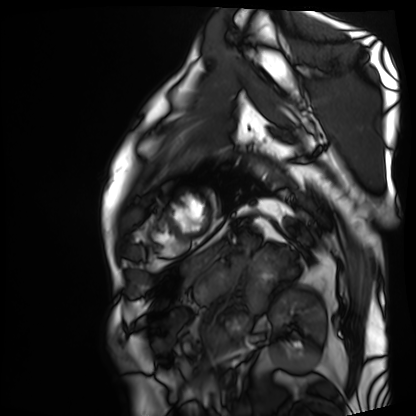
modality = cardiac MRI, subject group = patient.